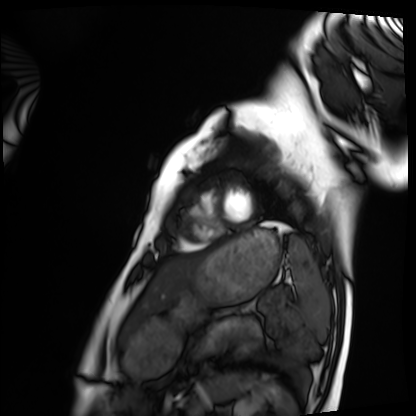
Clinical context:
Cardiac MRI. Subject group: healthy volunteer.